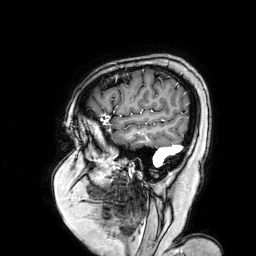
<study>
<modality>
  <type>brain MRI</type>
  <field_strength>3T</field_strength>
</modality>
<series>3D T1-weighted turbo field echo with SENSE</series>
<study_topic>ring-enhancing brain masses</study_topic>
</study>